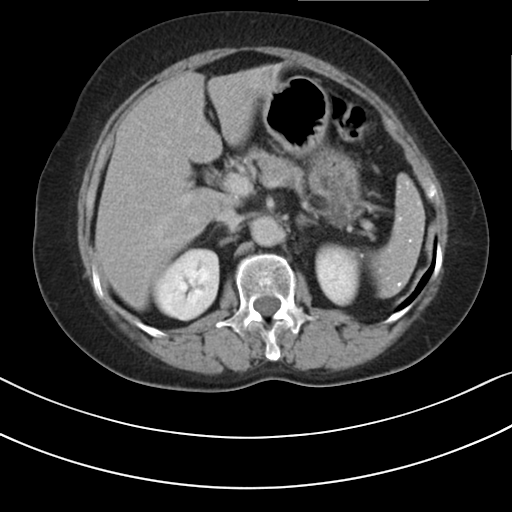
Q: What kind of scan is this?
A: Multiphase abdominal CT, liver, delayed phase.
Q: Patient?
A: Female, age 68.
Q: History?
A: Prior chemotherapy.